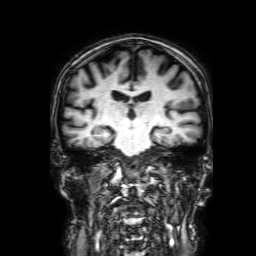
3 Tesla brain MRI.
Series: 3D T1-weighted with SENSE.
Study: ring-enhancing brain masses.